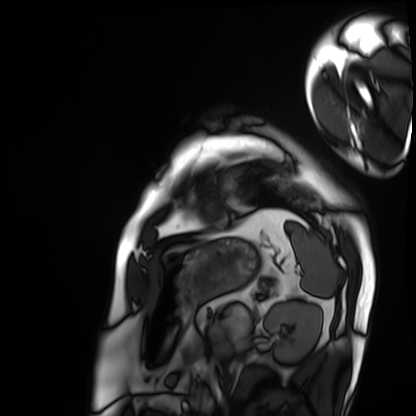
Q: What kind of scan is this?
A: Cardiac MRI.
Subject group: patient.